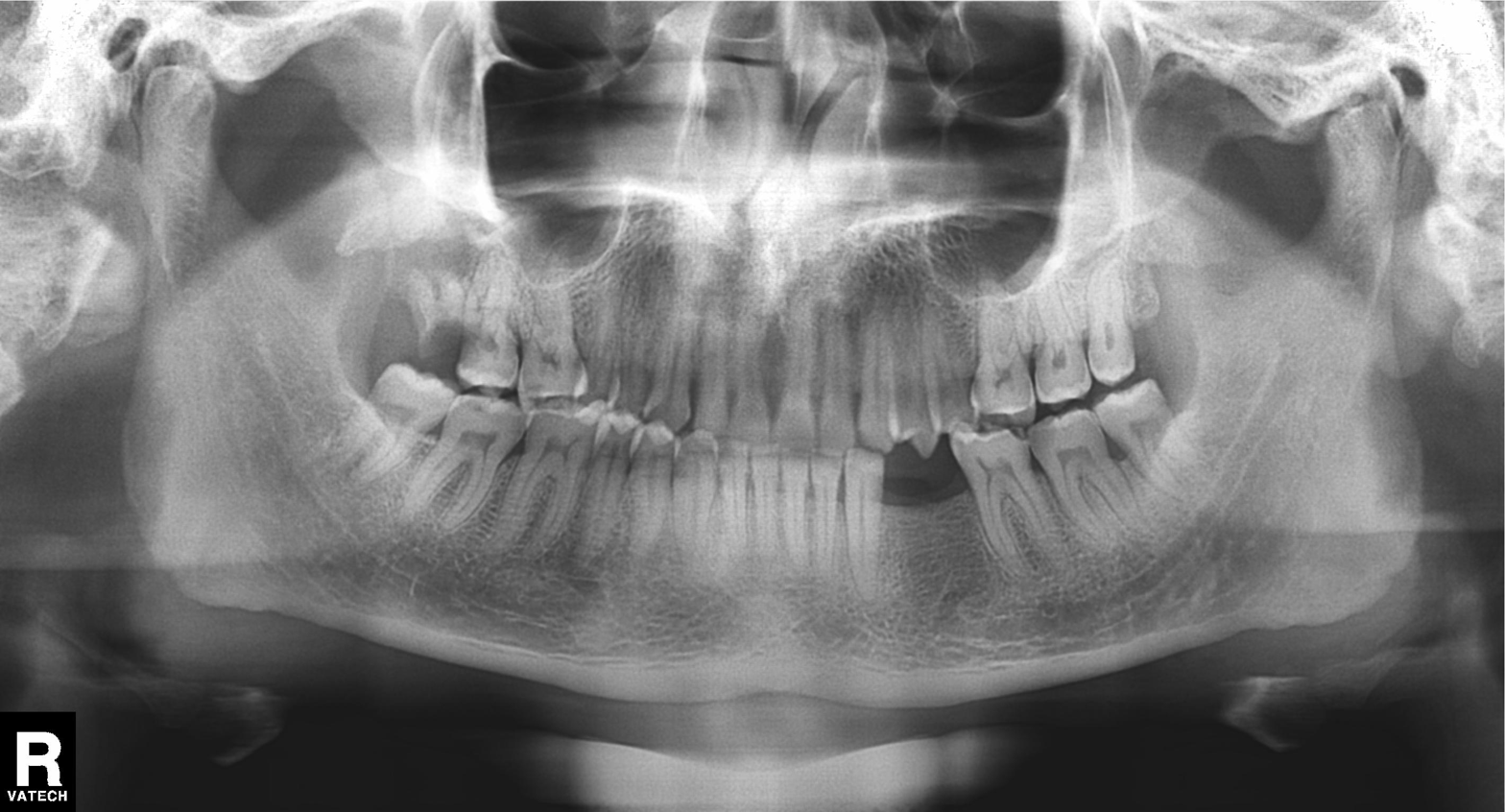
{
  "modality": "panoramic dental radiograph (orthopantomogram)",
  "finding": "tooth impaction"
}